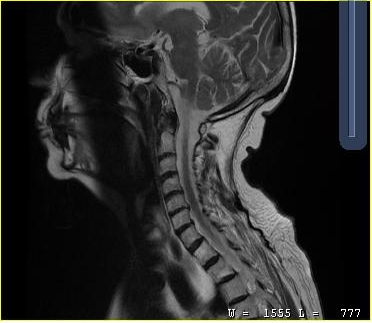
Q: What kind of scan is this?
A: MRI of the cervical spine.
Study: cervical spondylosis.